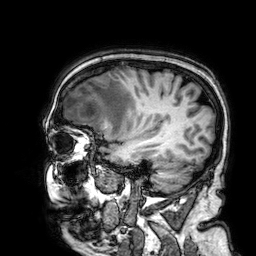
3 Tesla brain MRI. Series: 3D T1-weighted. Study: ring-enhancing brain masses.